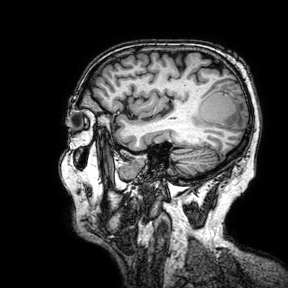
3 Tesla brain MRI.
Series: 3D T1-weighted turbo field echo with SENSE.
Study: ring-enhancing brain masses.